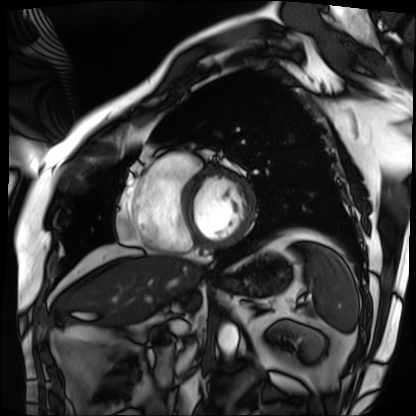
- modality · cardiac MRI
- subject group · patient